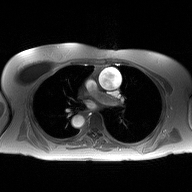
2D phase-contrast cine MRI of the ascending aorta, high-resolution GRAPPA acquisition.